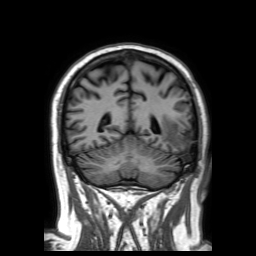
Q: What kind of scan is this?
A: 3 Tesla brain MRI.
Q: Series?
A: 3D T1-weighted TFE with SENSE.
Study: ring-enhancing brain masses.